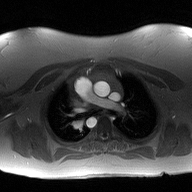
Q: What kind of scan is this?
A: 2D phase-contrast cine MRI of the ascending aorta.